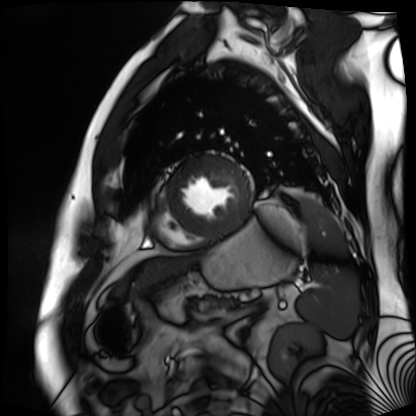
modality: cardiac MR image of the myocardium; subject cohort: cardiac patient.